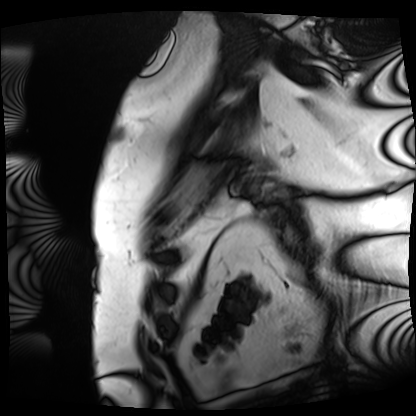
Cardiac MRI. Subject group: patient.